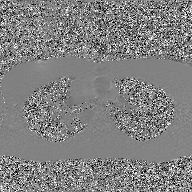
{"modality": {"type": "2D phase-contrast cine MRI", "region": "ascending aorta", "reconstruction": "GAN super-resolution reconstruction"}}